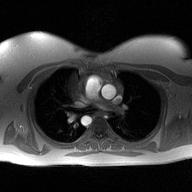
Q: What kind of scan is this?
A: 2D phase-contrast cine MRI of the ascending aorta.